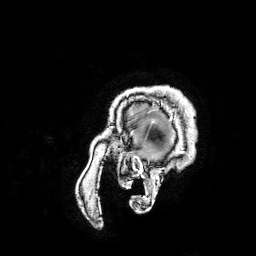
3 Tesla brain MRI. Series: 3D T1-weighted turbo field echo with SENSE. Study: ring-enhancing brain masses.